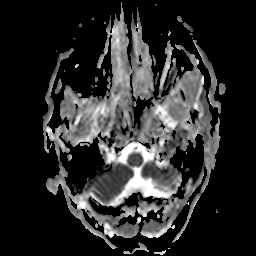
3 Tesla brain MRI.
Study: ring-enhancing brain masses.